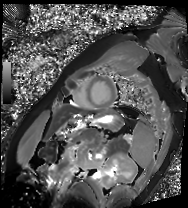
Cardiac MRI. Subject group: patient.